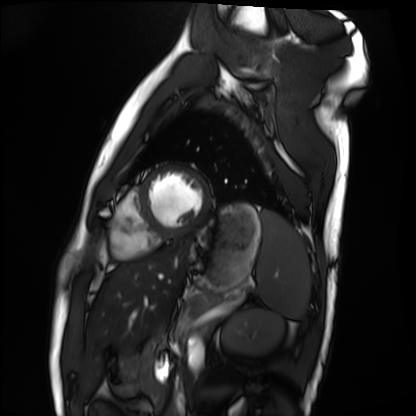
Case:
• modality: cardiac MRI
• subject group: healthy volunteer